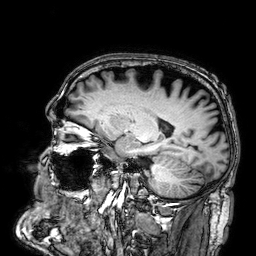
| field | value |
|---|---|
| modality | 3 Tesla brain MRI |
| series | 3D T1-weighted |
| study | ring-enhancing brain masses |